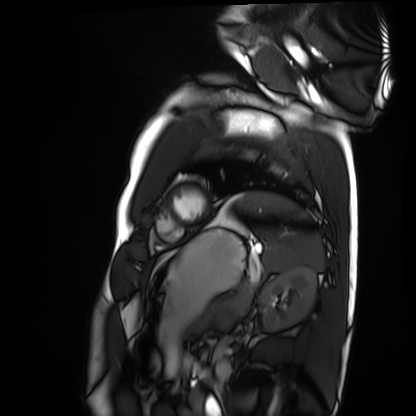
modality: cardiac MRI; subject group: healthy volunteer.